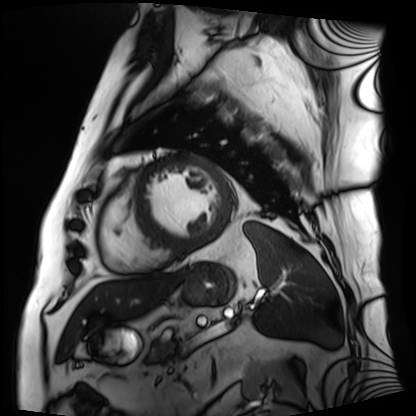
Summary: Cardiac MRI. Subject group: patient.